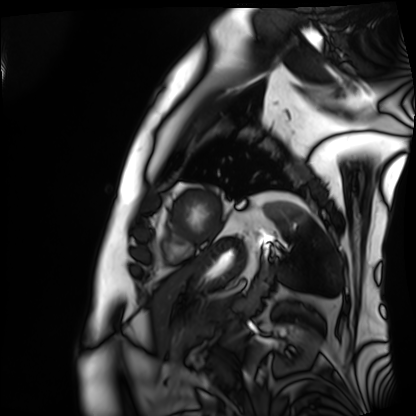
| field | value |
|---|---|
| modality | cardiac MRI |
| subject group | patient |